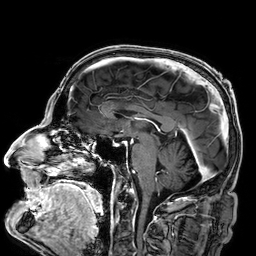
<record>
<modality>
  <type>brain MRI</type>
  <field_strength>3T</field_strength>
</modality>
<series>3D T1-weighted</series>
<study_topic>ring-enhancing brain masses</study_topic>
</record>